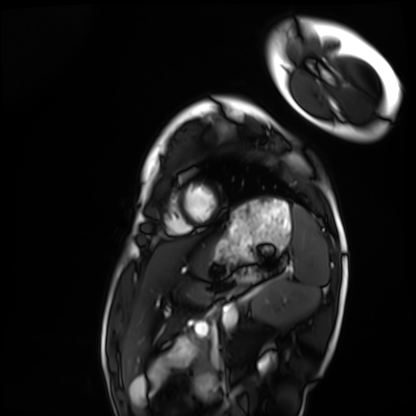
  modality: cardiac MRI
  cohort: healthy volunteer